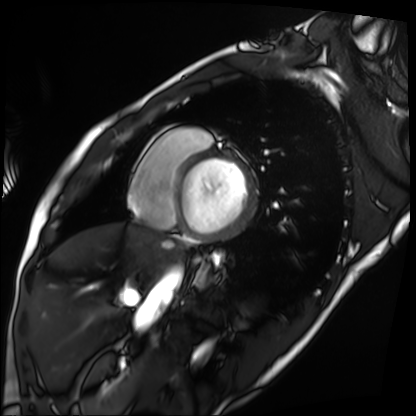
modality: cardiac MRI; subject group: patient.